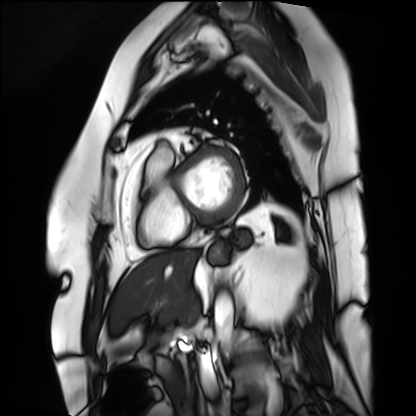
• modality · cardiac MRI
• subject group · patient